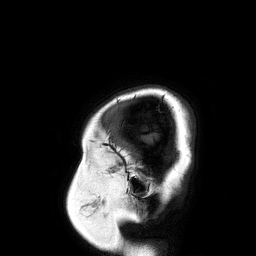
{
  "modality": {
    "type": "brain MRI",
    "field_strength": "3T"
  },
  "series": "3D T1-weighted turbo field echo",
  "study_topic": "ring-enhancing brain masses"
}